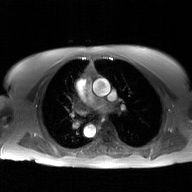
Case:
• modality · 2D phase-contrast cine MRI of the ascending aorta, GAN super-resolution reconstruction